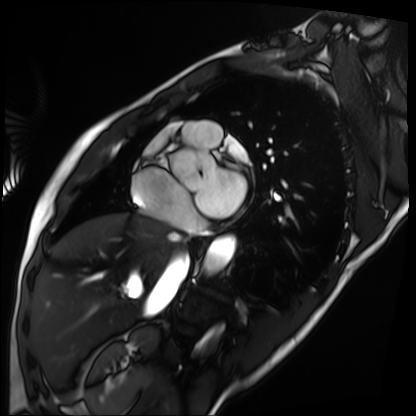
Cardiac MRI.
Subject group: patient.